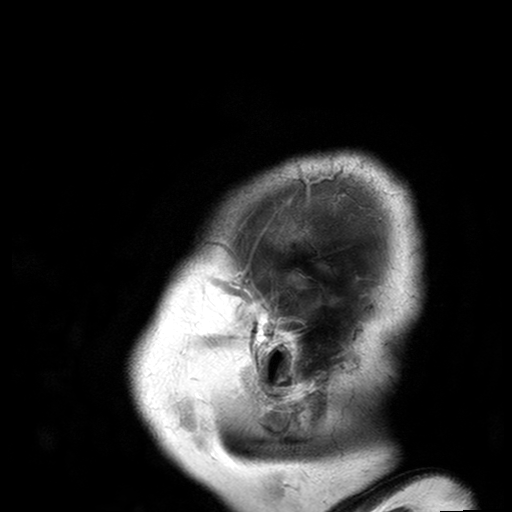
modality: 3 Tesla brain MRI; series: T2-weighted turbo spin echo with SENSE; study: ring-enhancing brain masses.